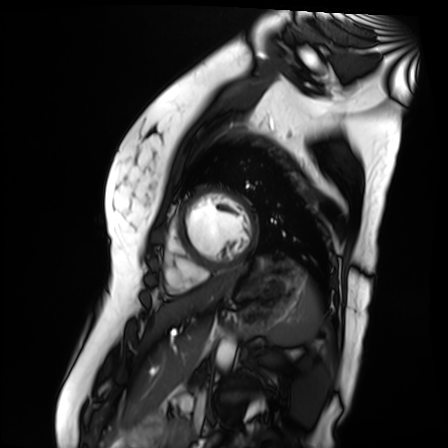
Cardiac MR image of the myocardium.
Subject cohort: healthy volunteer.